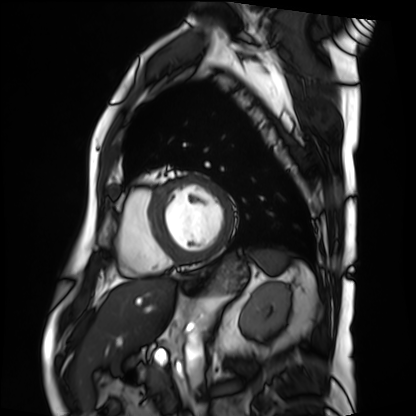
modality = cardiac MRI; subject group = patient.